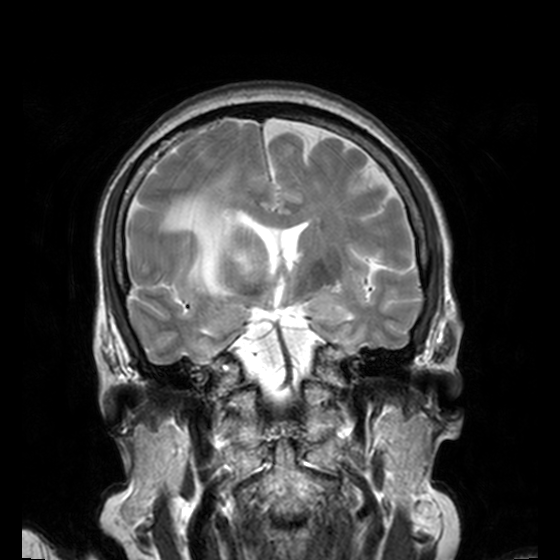
* modality · 3 Tesla brain MRI
* series · T2-weighted turbo spin echo, 3 mm
* study · ring-enhancing brain masses